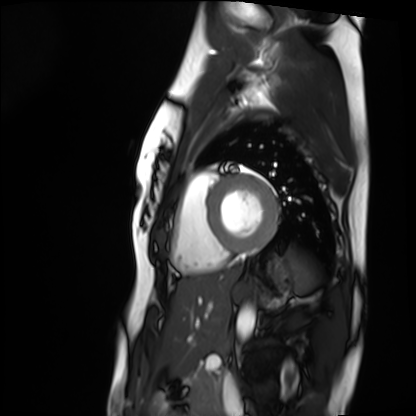
modality: cardiac MRI, subject group: healthy volunteer.